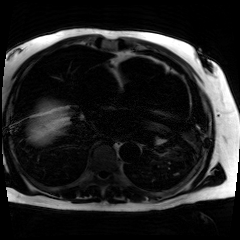
Chemical-shift-encoded cardiac MRI.